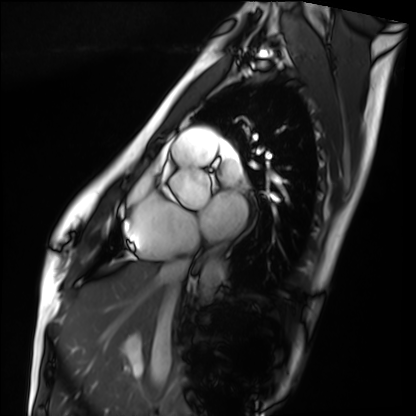
modality=cardiac MRI; subject group=healthy volunteer.